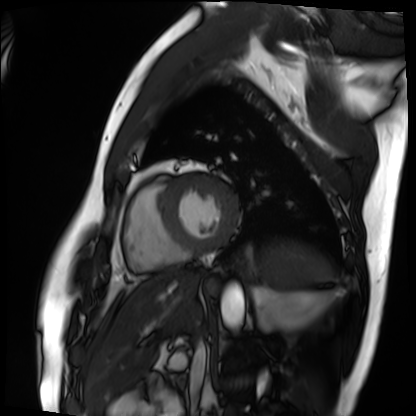
Q: What kind of scan is this?
A: Cardiac MRI.
Subject group: patient.